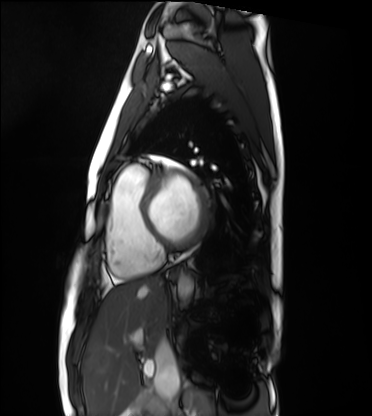
{"modality": "cardiac MRI", "cohort": "healthy volunteer"}